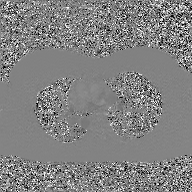
2D phase-contrast cine MRI of the ascending aorta, GAN super-resolution reconstruction.